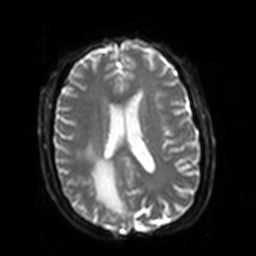
Q: What kind of scan is this?
A: 3 Tesla brain MRI.
Q: Series?
A: Diffusion-weighted imaging with SENSE (WIP).
Study: ring-enhancing brain masses.